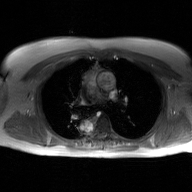
2D phase-contrast cine MRI of the ascending aorta, GAN super-resolution reconstruction.